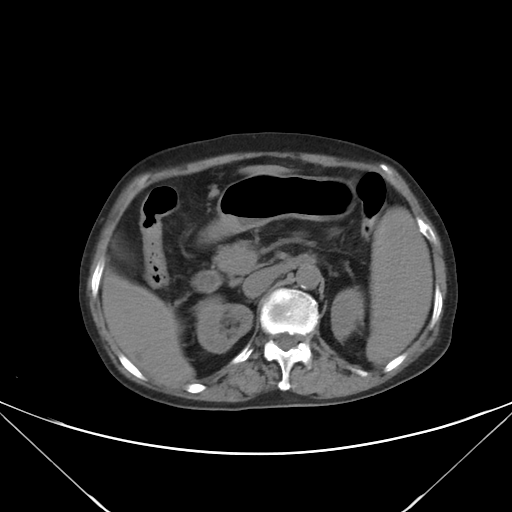
modality=multiphase abdominal CT, liver, non-contrast phase.